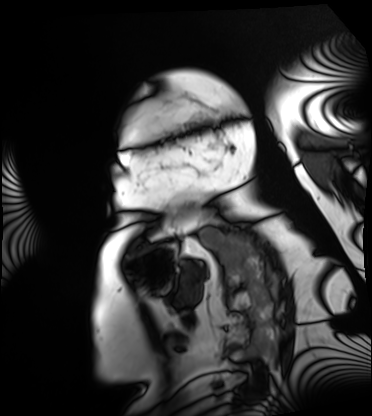
{"modality": "cardiac MRI", "cohort": "patient"}